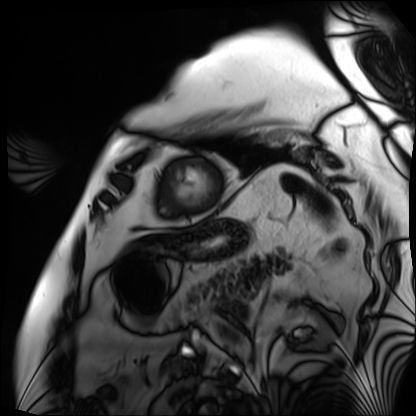
| field | value |
|---|---|
| modality | cardiac MRI |
| subject group | patient |